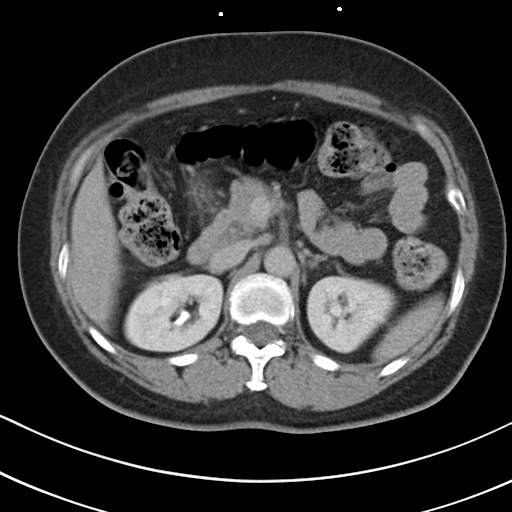
{"modality": {"type": "multiphase abdominal CT", "region": "liver", "phase": "delayed"}, "patient": {"sex": "female", "age": 55}, "history": ["prior chemotherapy"]}